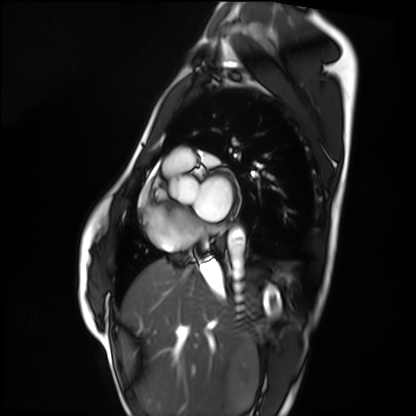
Clinical context:
Cardiac MRI. Subject group: healthy volunteer.